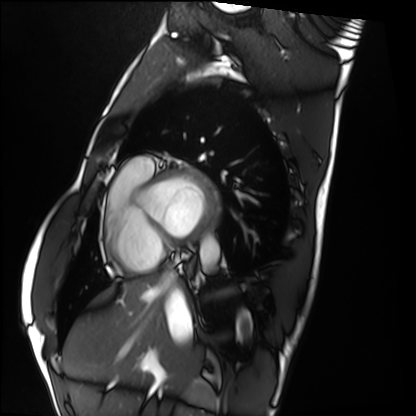
| field | value |
|---|---|
| modality | cardiac MRI |
| subject group | healthy volunteer |